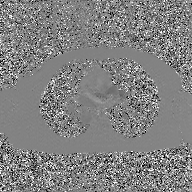
- modality: 2D phase-contrast cine MRI of the ascending aorta, GAN super-resolution reconstruction